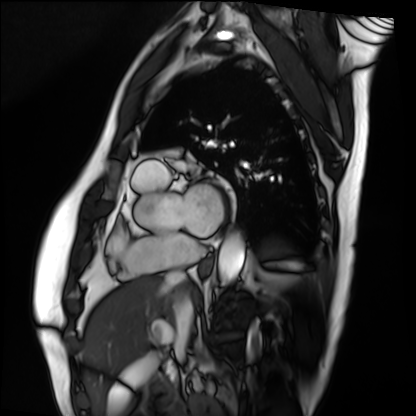
modality: cardiac MRI | subject group: patient.